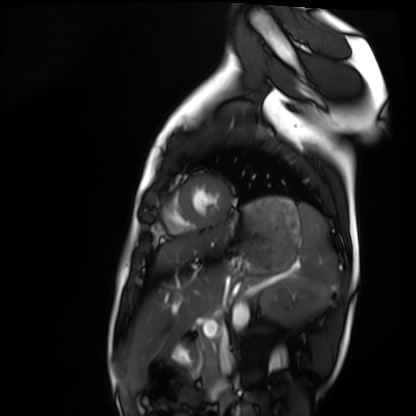
modality: cardiac MRI
cohort: healthy volunteer